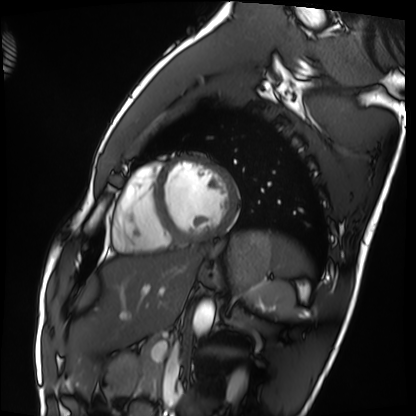
- modality — cardiac MRI
- subject group — healthy volunteer